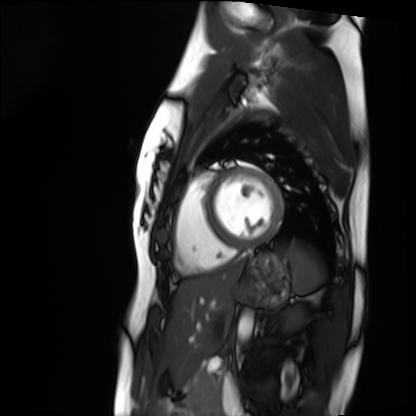
Cardiac MRI. Subject group: healthy volunteer.